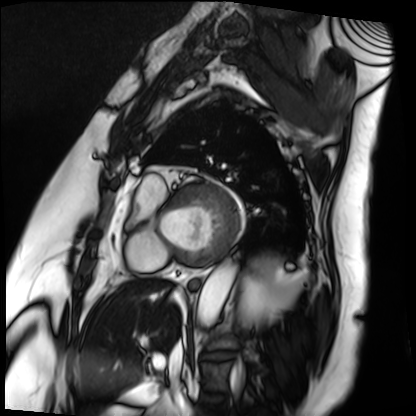
Summary: Cardiac MRI. Subject group: patient.